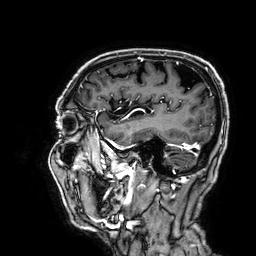
Q: What kind of scan is this?
A: 3 Tesla brain MRI.
Study: ring-enhancing brain masses.